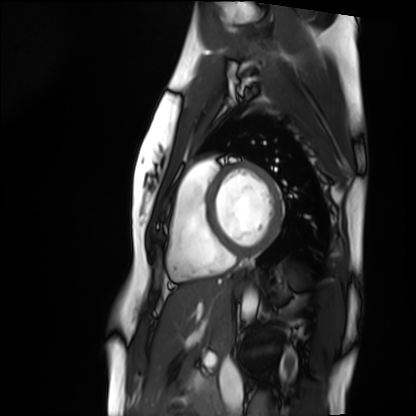
modality — cardiac MRI
subject group — healthy volunteer